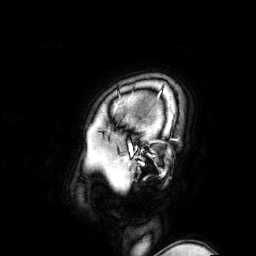
3 Tesla brain MRI. Series: 3D T1-weighted turbo field echo with SENSE. Study: ring-enhancing brain masses.